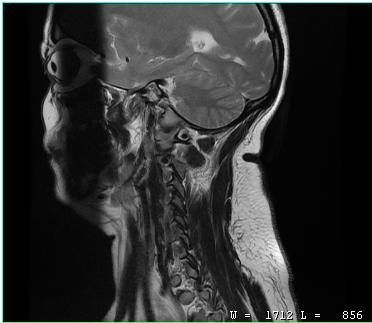
Clinical context:
MRI of the cervical spine. Study: cervical spondylosis.